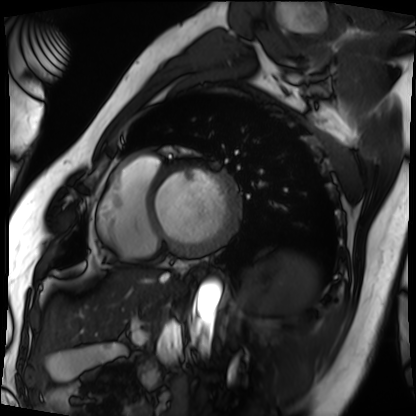
modality=cardiac MRI | subject group=patient.